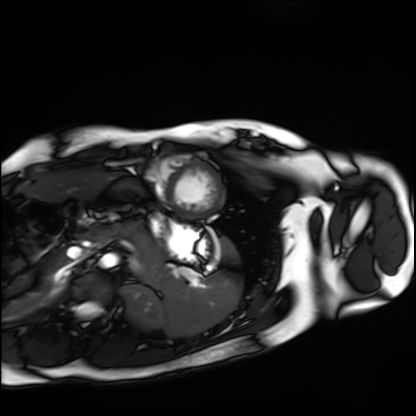
modality: cardiac MRI
subject group: healthy volunteer